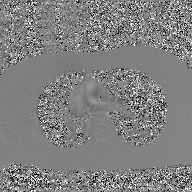
2D phase-contrast cine MRI of the ascending aorta, GAN super-resolution reconstruction.